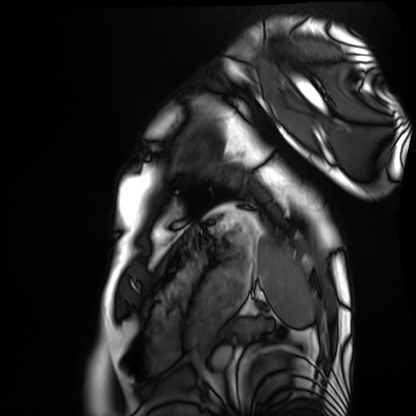
* modality · cardiac MRI
* subject group · healthy volunteer